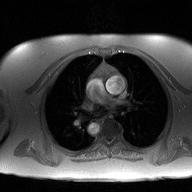
| field | value |
|---|---|
| modality | 2D phase-contrast cine MRI of the ascending aorta |